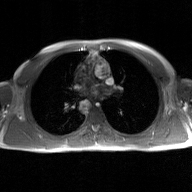
Summary:
2D phase-contrast cine MRI of the ascending aorta, GAN super-resolution reconstruction.